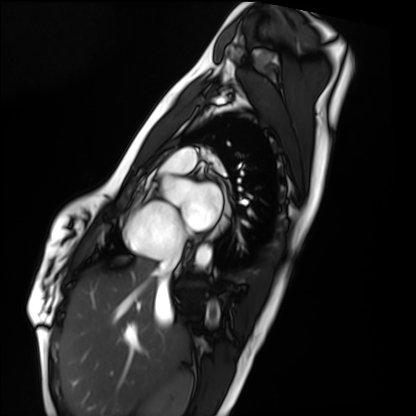
Cardiac MRI.
Subject group: healthy volunteer.